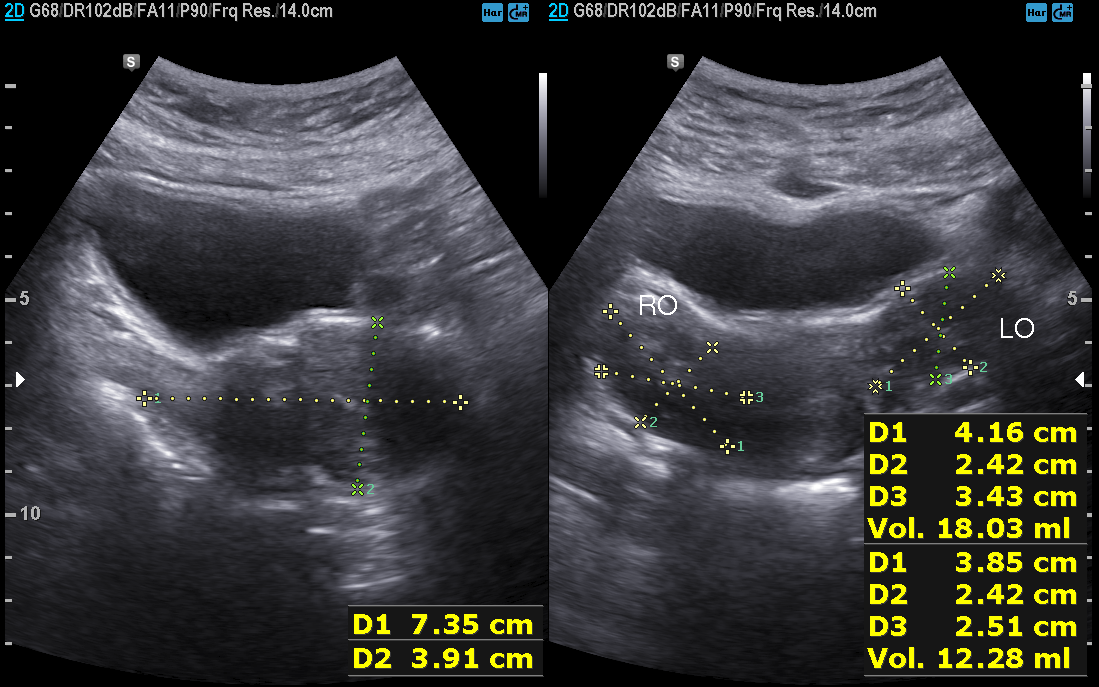
modality — genitourinary ultrasound